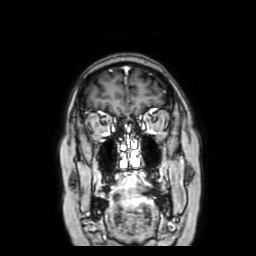
Q: What kind of scan is this?
A: 3 Tesla brain MRI.
Q: Series?
A: Coronal with contrast.
Study: ring-enhancing brain masses.